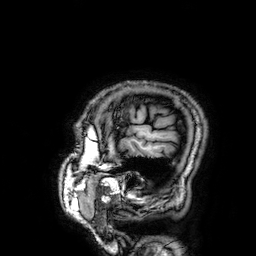
3 Tesla brain MRI. Series: 3D T1-weighted. Study: ring-enhancing brain masses.